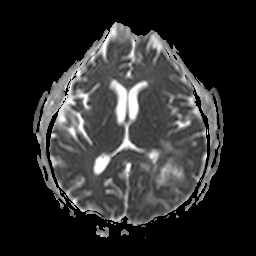
3 Tesla brain MRI. Series: apparent diffusion coefficient (ADC) map. Study: ring-enhancing brain masses.